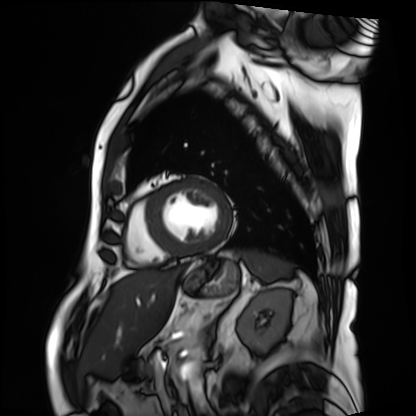
• modality — cardiac MRI
• subject group — patient